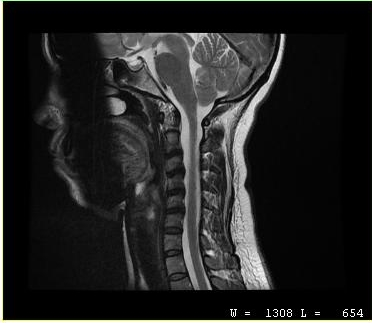
Summary: MRI of the cervical spine. Study: cervical spondylosis.